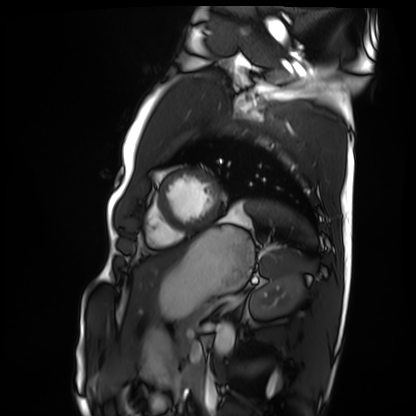
{"modality": "cardiac MRI", "cohort": "healthy volunteer"}